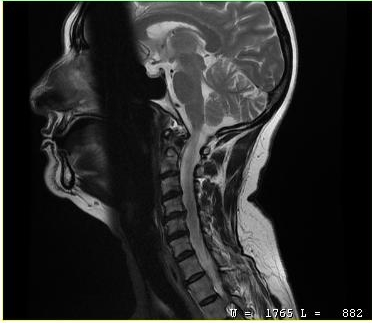
{
  "modality": {
    "type": "cervical spine MRI"
  },
  "study_topic": "cervical spondylosis"
}